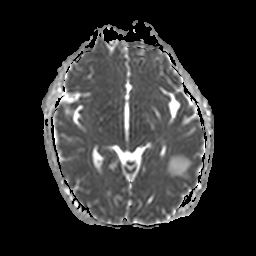
3 Tesla brain MRI.
Series: apparent diffusion coefficient (ADC) map.
Study: ring-enhancing brain masses.